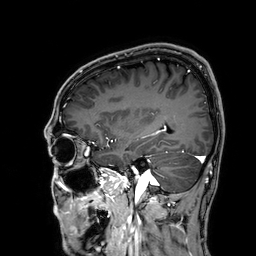
modality — 3 Tesla brain MRI | series — 3D T1-weighted | study — ring-enhancing brain masses.